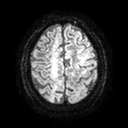
• modality — 3 Tesla brain MRI
• series — diffusion tensor imaging (medium iso)
• study — ring-enhancing brain masses